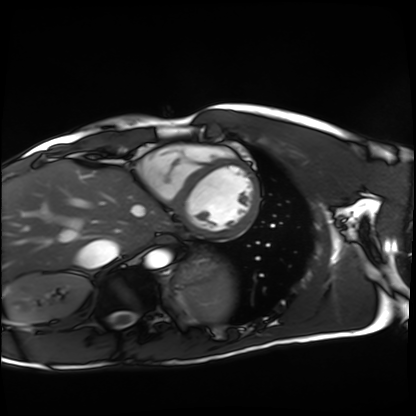
Cardiac MRI. Subject group: healthy volunteer.